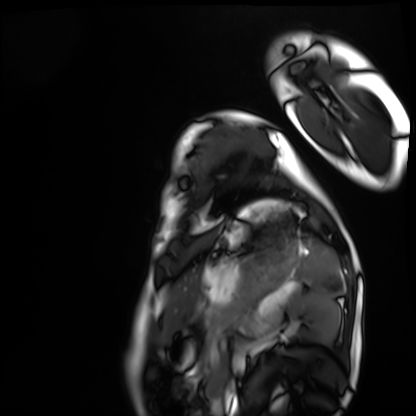
Q: What kind of scan is this?
A: Cardiac MRI.
Subject group: healthy volunteer.